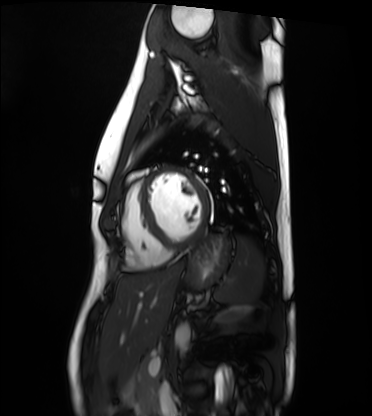
Cardiac MRI. Subject group: healthy volunteer.